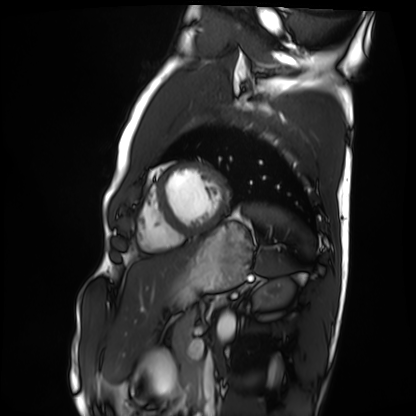
Q: What kind of scan is this?
A: Cardiac MRI.
Subject group: healthy volunteer.